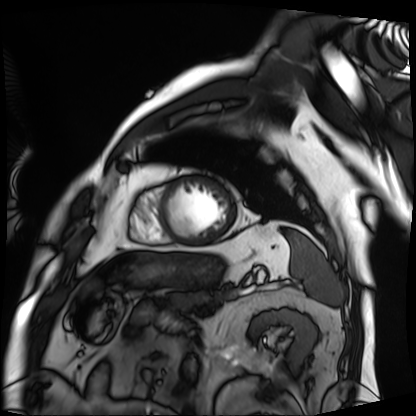
| field | value |
|---|---|
| modality | cardiac MRI |
| subject group | patient |